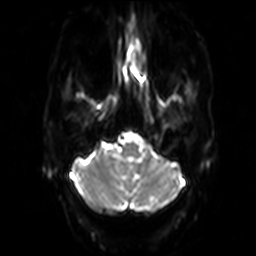
{
  "modality": {
    "type": "brain MRI",
    "field_strength": "3T"
  },
  "series": "diffusion-weighted imaging",
  "study_topic": "ring-enhancing brain masses"
}